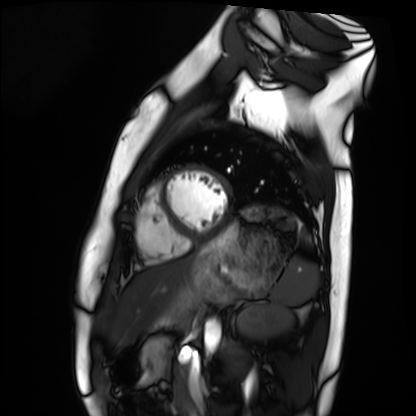
Summary: Cardiac MRI. Subject group: healthy volunteer.